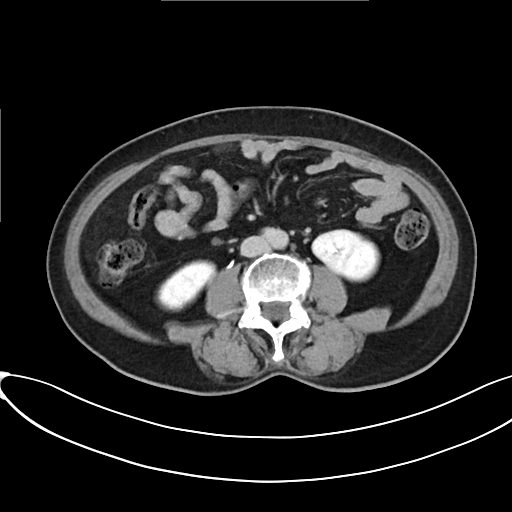
{"modality": {"type": "multiphase abdominal CT", "region": "liver", "phase": "delayed"}, "patient": {"sex": "female", "age": 61}}